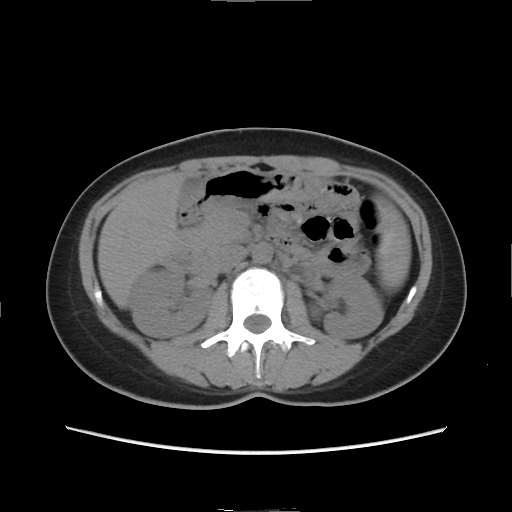
<case>
  <modality>
    <type>multiphase abdominal CT</type>
    <region>liver</region>
    <phase>non-contrast</phase>
  </modality>
  <patient>
    <sex>female</sex>
    <age>33</age>
  </patient>
</case>